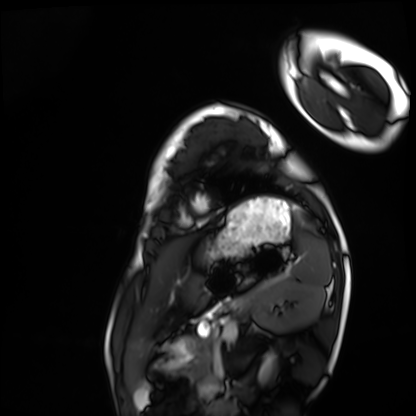
Summary:
Cardiac MRI. Subject group: healthy volunteer.